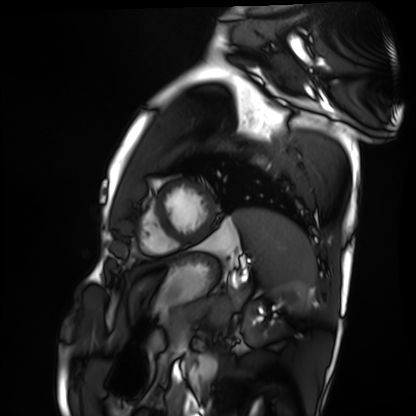
Q: What kind of scan is this?
A: Cardiac MRI.
Subject group: healthy volunteer.